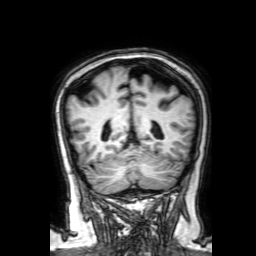
3 Tesla brain MRI. Series: 3D T1-weighted with SENSE. Study: ring-enhancing brain masses.